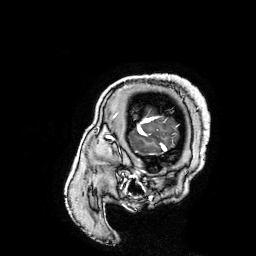
3 Tesla brain MRI. Series: 3D T1-weighted turbo field echo with SENSE. Study: ring-enhancing brain masses.